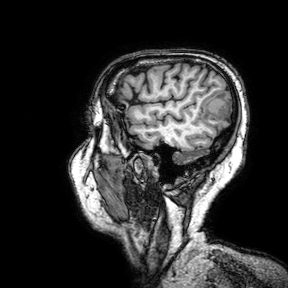
3 Tesla brain MRI.
Series: 3D T1-weighted turbo field echo with SENSE.
Study: ring-enhancing brain masses.